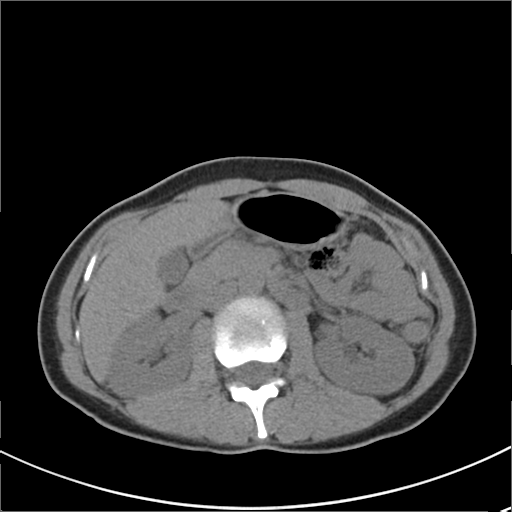
Multiphase abdominal CT, liver, non-contrast phase. Patient: female, age 36.